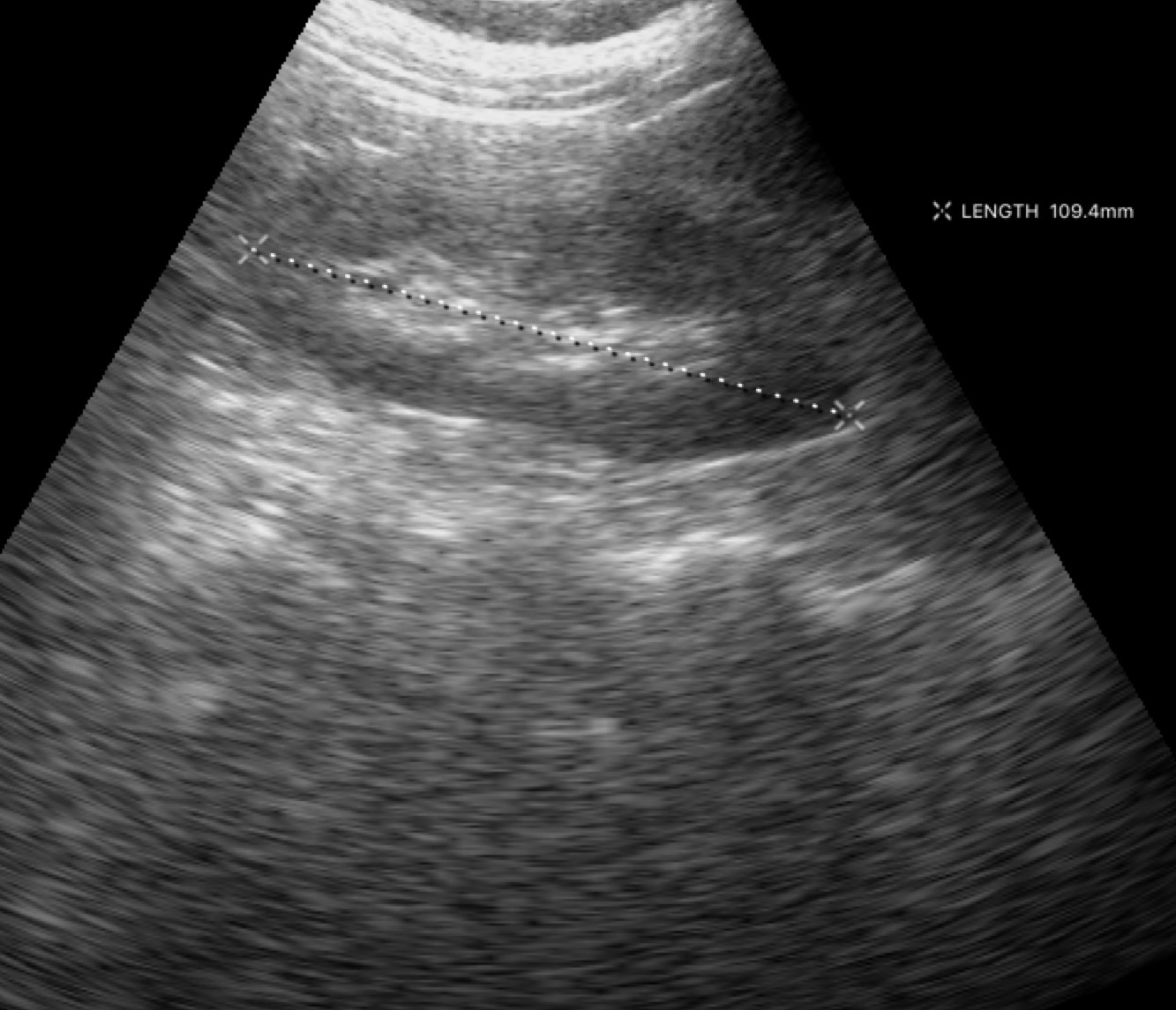
Genitourinary ultrasound.